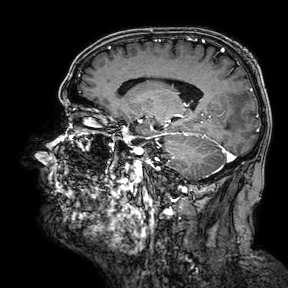
3 Tesla brain MRI. Series: 3D T1-weighted turbo field echo with SENSE. Study: ring-enhancing brain masses.